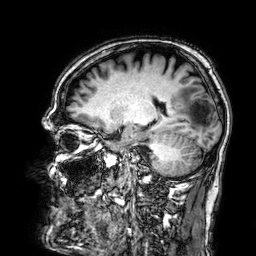
3 Tesla brain MRI. Series: 3D T1-weighted. Study: ring-enhancing brain masses.